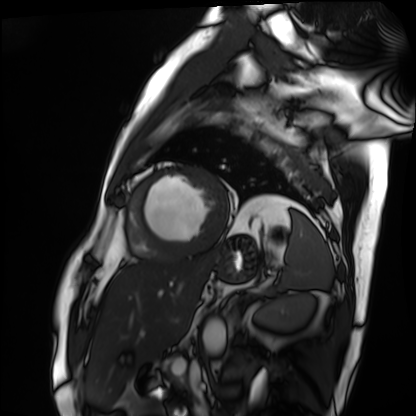
Summary:
Cardiac MRI. Subject group: patient.